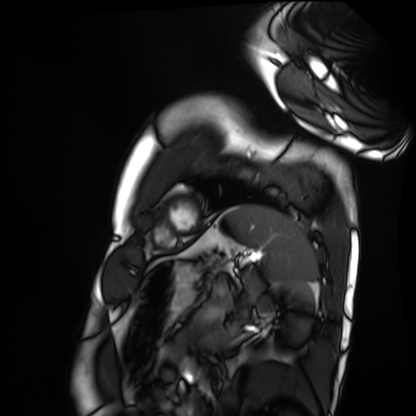
Cardiac MRI. Subject group: healthy volunteer.